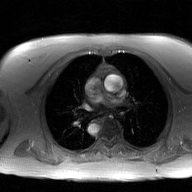
Case:
- modality — 2D phase-contrast cine MRI of the ascending aorta, GAN super-resolution reconstruction